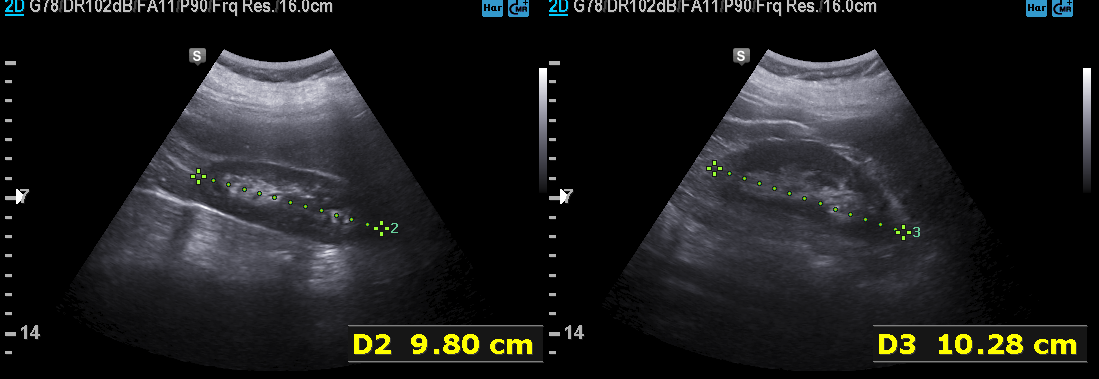
Case summary:
Genitourinary ultrasound.